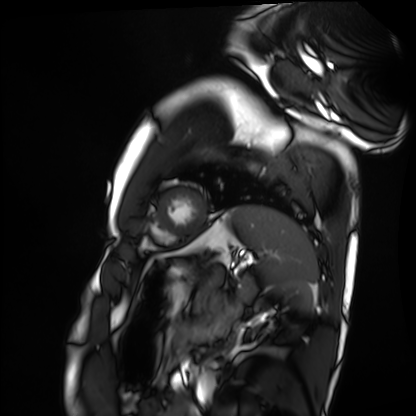
Cardiac MRI.
Subject group: healthy volunteer.